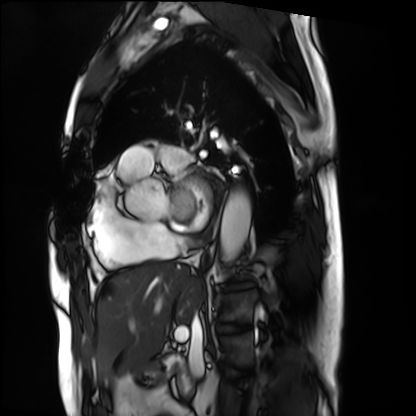
Summary: Cardiac MRI. Subject group: patient.